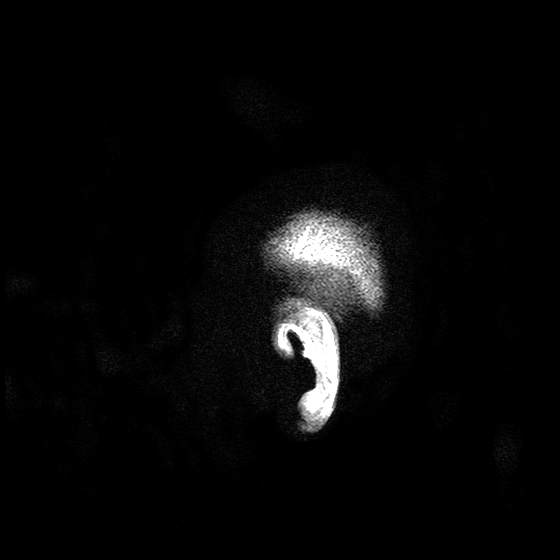
modality: 3 Tesla brain MRI; series: T2-weighted turbo spin echo with SENSE; study: ring-enhancing brain masses.